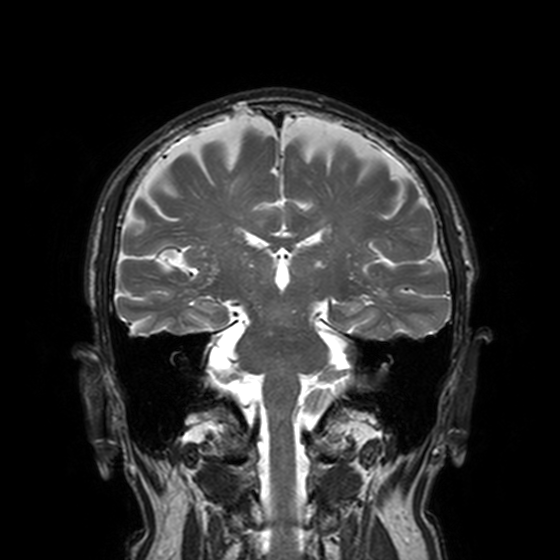
  modality:
    type: brain MRI
    field_strength: 3T
  series: T2-weighted turbo spin echo, 3 mm
  study_topic: ring-enhancing brain masses